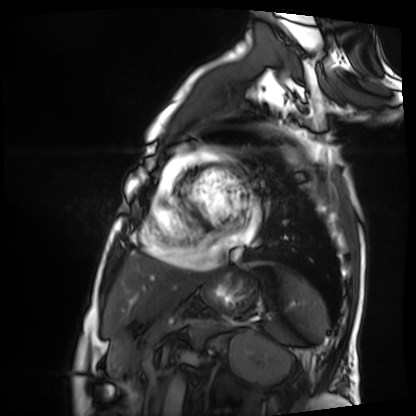
Cardiac MRI.
Subject group: patient.